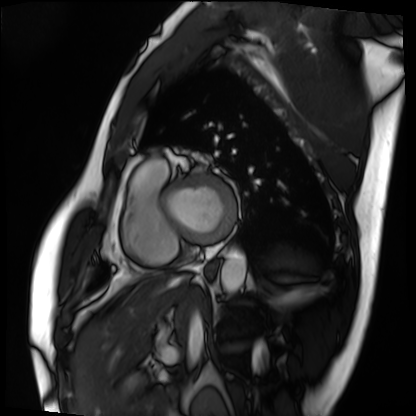
– modality — cardiac MRI
– subject group — patient